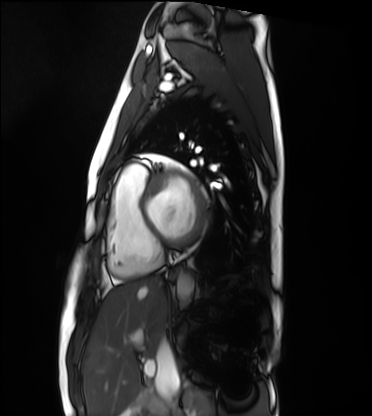
Summary:
Cardiac MRI. Subject group: healthy volunteer.